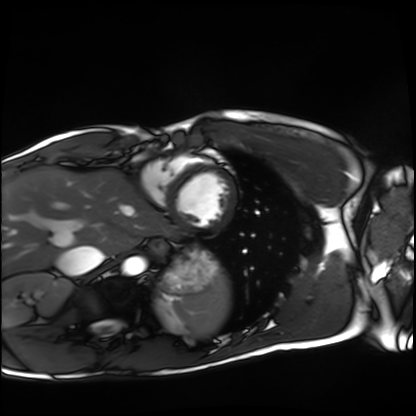
Cardiac MRI.
Subject group: healthy volunteer.